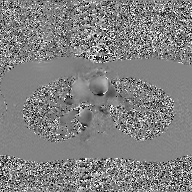
Case:
- modality — 2D phase-contrast cine MRI of the ascending aorta, GAN super-resolution reconstruction